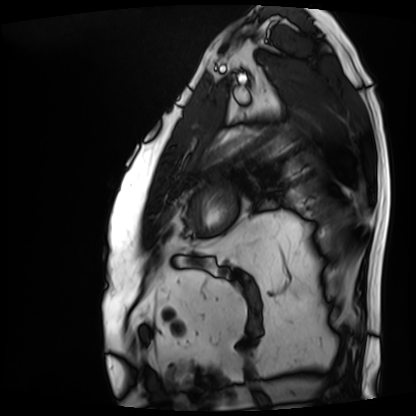
Cardiac MRI. Subject group: patient.